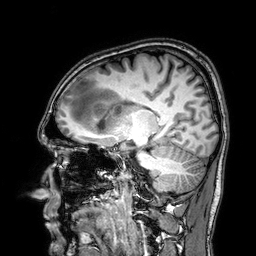
3 Tesla brain MRI. Series: 3D T1-weighted. Study: ring-enhancing brain masses.